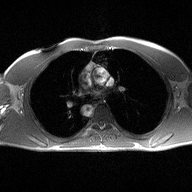
modality = 2D phase-contrast cine MRI of the ascending aorta.